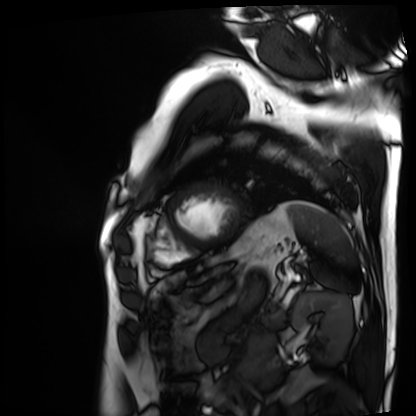
Cardiac MRI. Subject group: patient.